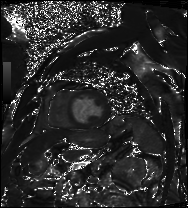
Case summary:
Cardiac MRI. Subject group: patient.